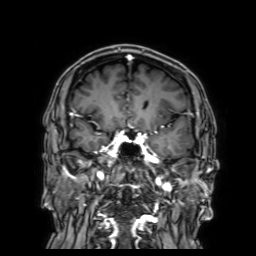
{
  "modality": {
    "type": "brain MRI",
    "field_strength": "3T"
  },
  "series": "3D T1-weighted with SENSE",
  "study_topic": "ring-enhancing brain masses"
}